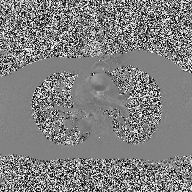
Clinical context:
2D phase-contrast cine MRI of the ascending aorta, high-resolution GRAPPA acquisition.